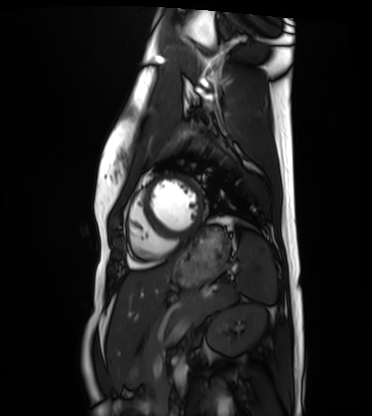
Cardiac MRI.
Subject group: healthy volunteer.